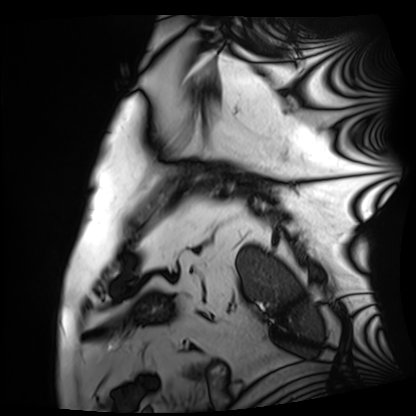
<case>
  <modality>cardiac MRI</modality>
  <cohort>patient</cohort>
</case>